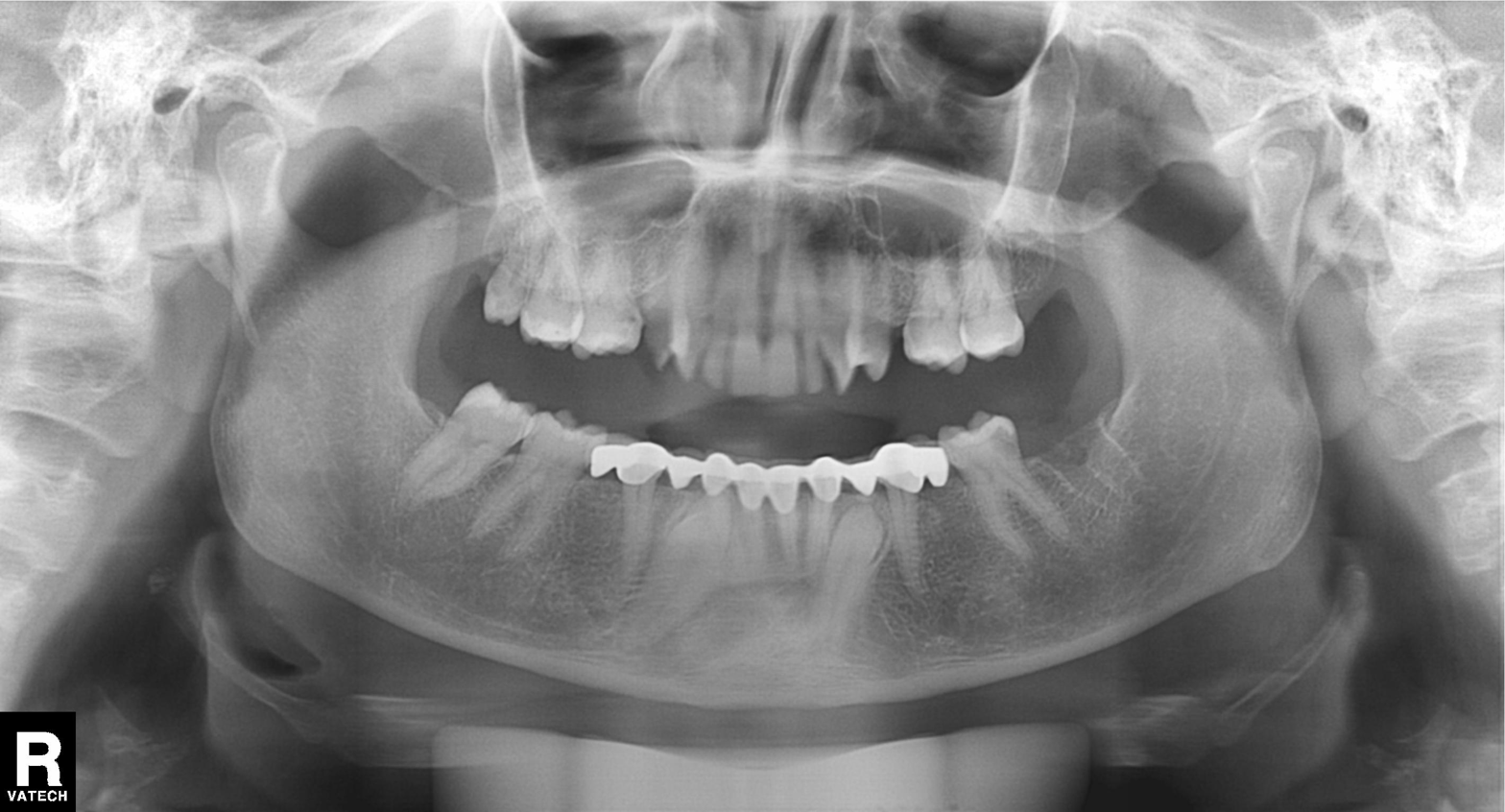
Panoramic dental radiograph (orthopantomogram).
Finding: dental caries (cavities).